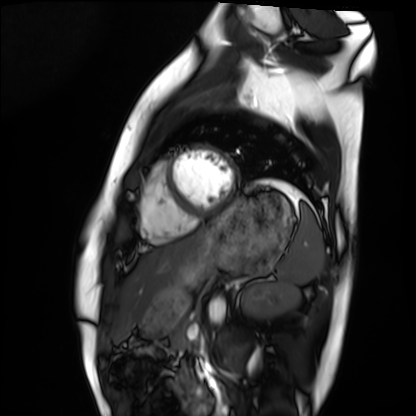
Cardiac MRI.
Subject group: healthy volunteer.